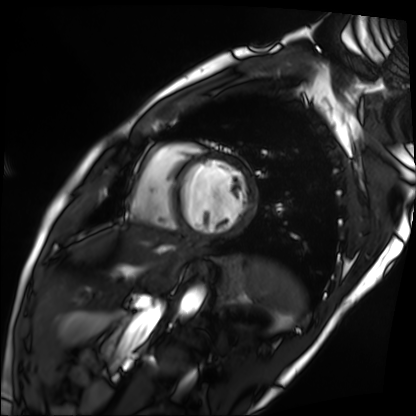
Q: What kind of scan is this?
A: Cardiac MRI.
Subject group: patient.